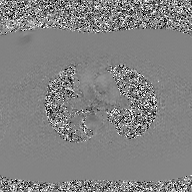
2D phase-contrast cine MRI of the ascending aorta, GAN super-resolution reconstruction.